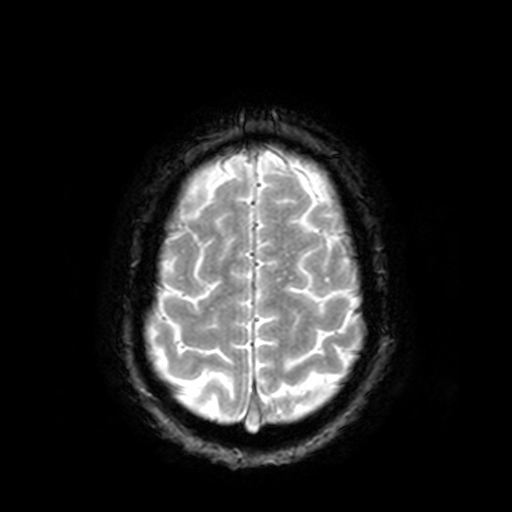
Case:
* modality — 3 Tesla brain MRI
* series — T2-weighted fast field echo
* study — ring-enhancing brain masses